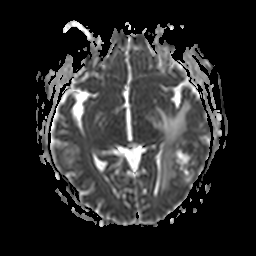
3 Tesla brain MRI.
Series: apparent diffusion coefficient (ADC) map.
Study: ring-enhancing brain masses.